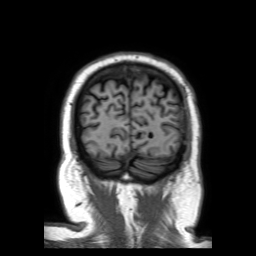
3 Tesla brain MRI. Series: 3D T1-weighted TFE with SENSE. Study: ring-enhancing brain masses.